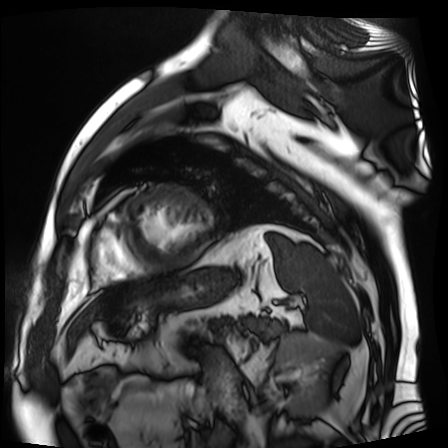
modality = cardiac MR image of the myocardium | subject cohort = cardiac patient.